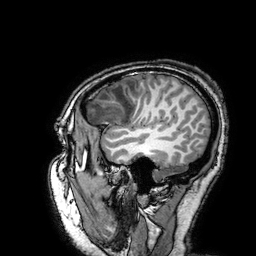
Clinical context: 3 Tesla brain MRI. Series: 3D T1-weighted turbo field echo with SENSE. Study: ring-enhancing brain masses.